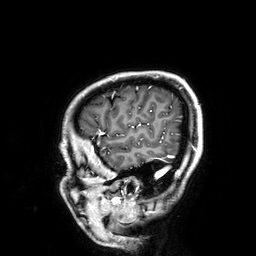
3 Tesla brain MRI. Series: 3D T1-weighted. Study: ring-enhancing brain masses.